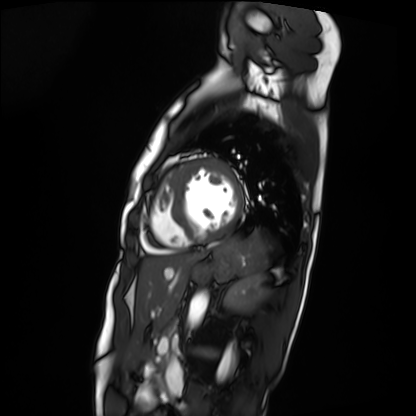
modality: cardiac MRI
cohort: patient